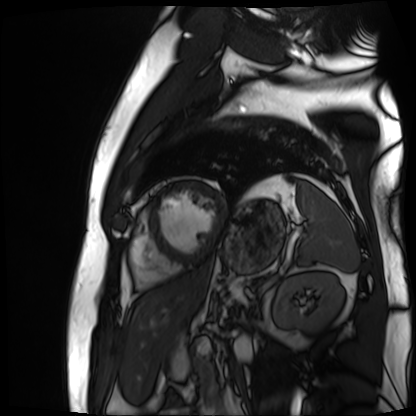
Cardiac MR image of the myocardium.
Subject cohort: cardiac patient.